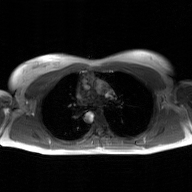
modality=2D phase-contrast cine MRI of the ascending aorta, GAN super-resolution reconstruction.